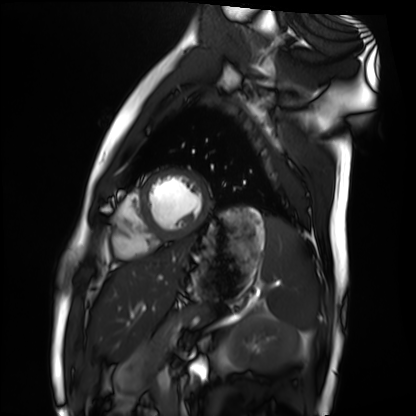
modality — cardiac MRI
subject group — healthy volunteer